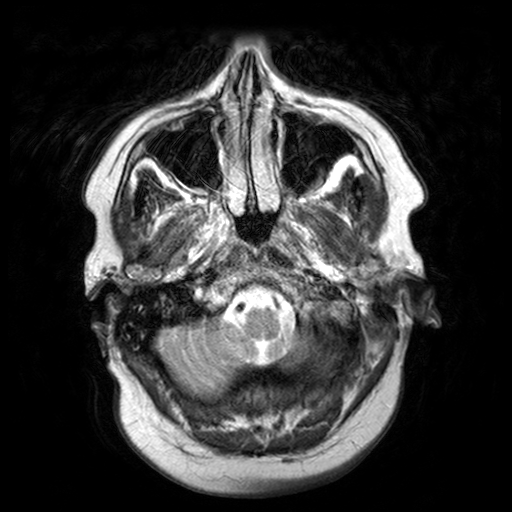
modality — 3 Tesla brain MRI; series — T2-weighted turbo spin echo with SENSE; study — ring-enhancing brain masses.